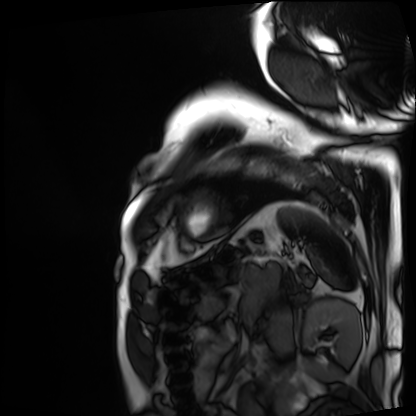
Cardiac MRI.
Subject group: patient.